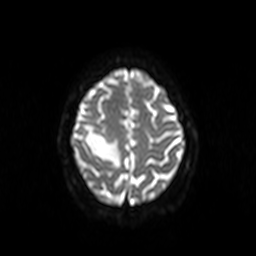
Summary: 3 Tesla brain MRI. Series: diffusion-weighted imaging. Study: ring-enhancing brain masses.